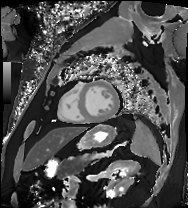
{
  "modality": "cardiac MRI",
  "cohort": "patient"
}